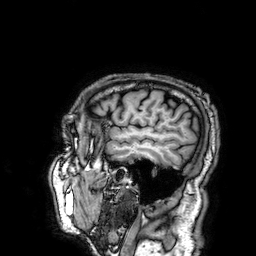
modality — 3 Tesla brain MRI; series — 3D T1-weighted; study — ring-enhancing brain masses.